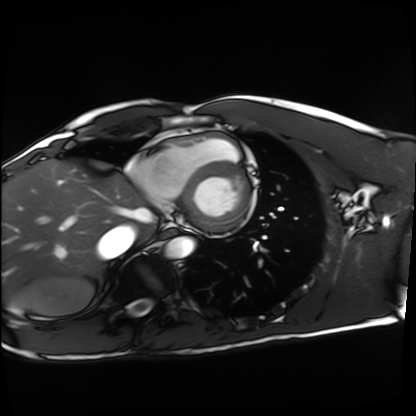
Cardiac MRI. Subject group: healthy volunteer.